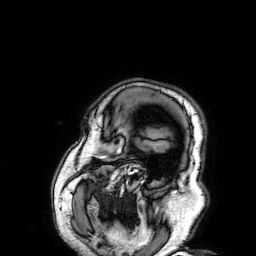
– modality — 3 Tesla brain MRI
– series — 3D T1-weighted
– study — ring-enhancing brain masses